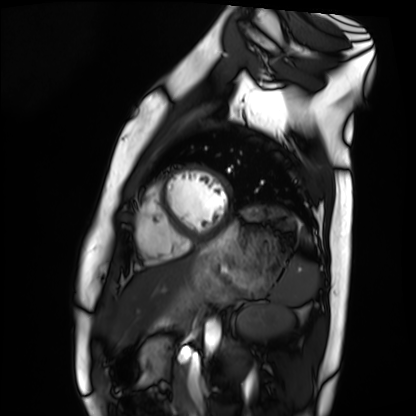
Q: What kind of scan is this?
A: Cardiac MRI.
Subject group: healthy volunteer.